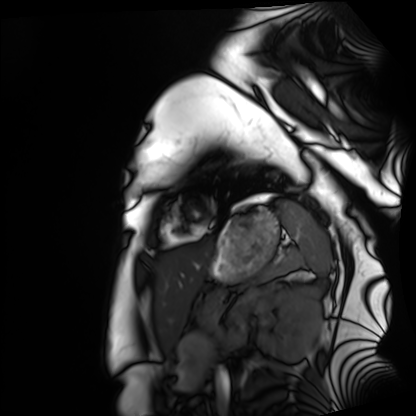
Q: What kind of scan is this?
A: Cardiac MRI.
Subject group: healthy volunteer.